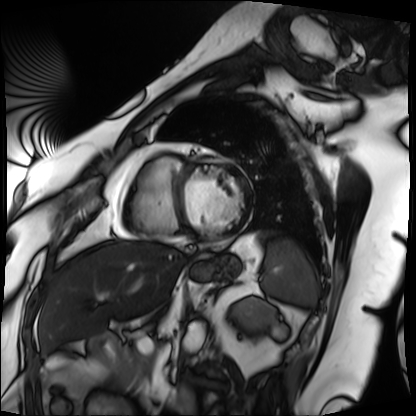
Case:
• modality: cardiac MRI
• subject group: patient